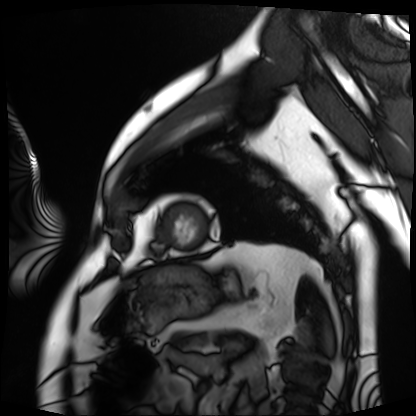
  modality: cardiac MRI
  cohort: patient